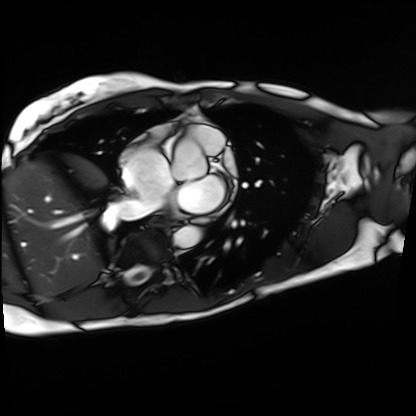
Summary:
Cardiac MRI. Subject group: patient.